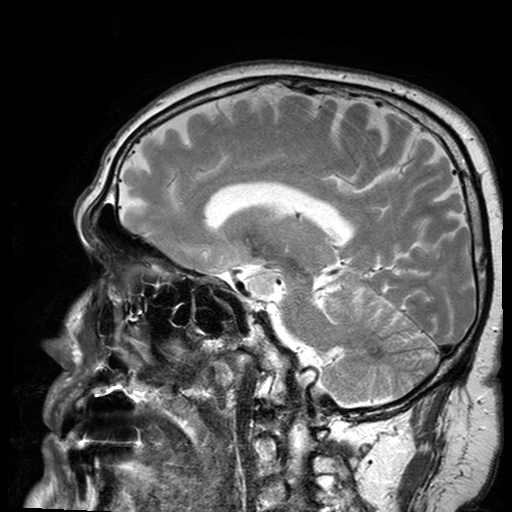
Q: What kind of scan is this?
A: 3 Tesla brain MRI.
Q: Series?
A: T2-weighted turbo spin echo with SENSE.
Study: ring-enhancing brain masses.